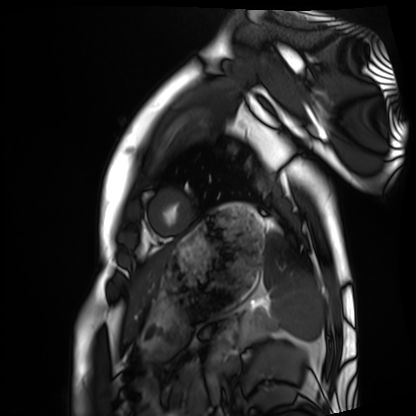
Clinical context:
Cardiac MRI. Subject group: healthy volunteer.